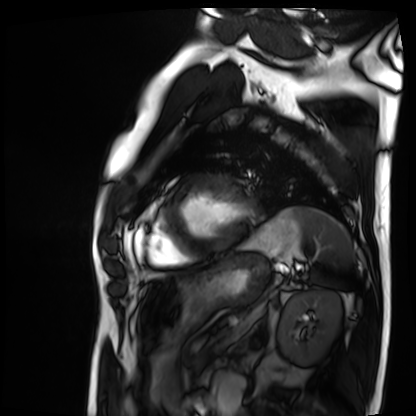
Cardiac MRI. Subject group: patient.